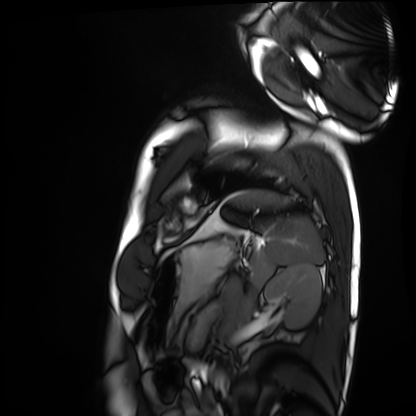
| field | value |
|---|---|
| modality | cardiac MRI |
| subject group | healthy volunteer |